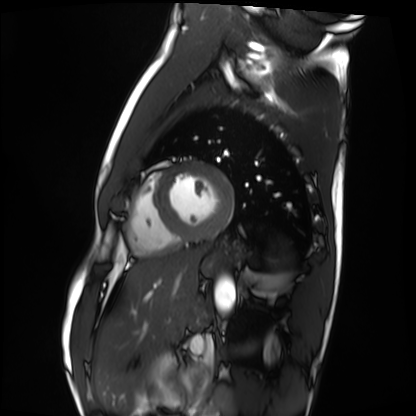
– modality: cardiac MRI
– subject group: healthy volunteer